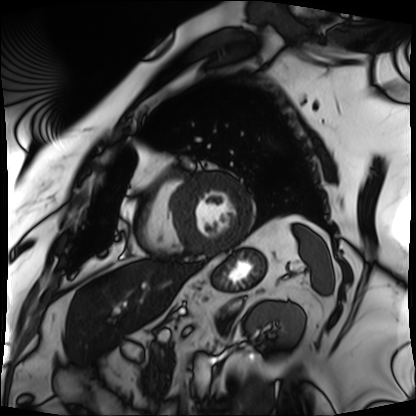
modality: cardiac MRI
cohort: patient